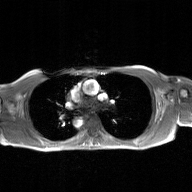
Summary: 2D phase-contrast cine MRI of the ascending aorta, GAN super-resolution reconstruction.